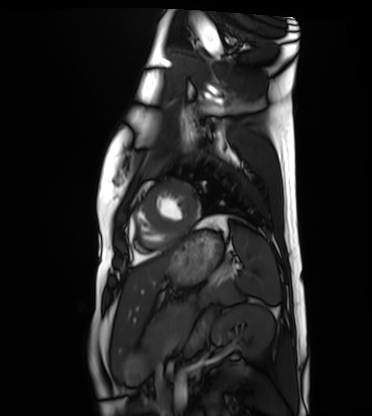
Cardiac MRI. Subject group: healthy volunteer.